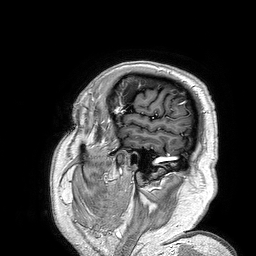
3 Tesla brain MRI.
Series: 3D T1-weighted turbo field echo.
Study: ring-enhancing brain masses.